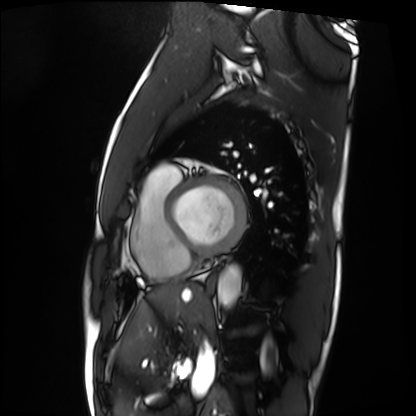
Cardiac MRI. Subject group: patient.